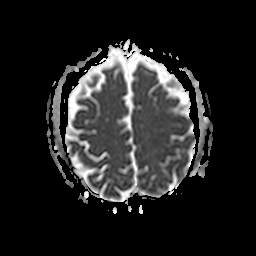
<case>
  <modality>
    <type>brain MRI</type>
    <field_strength>3T</field_strength>
  </modality>
  <series>apparent diffusion coefficient (ADC) map</series>
  <study_topic>ring-enhancing brain masses</study_topic>
</case>